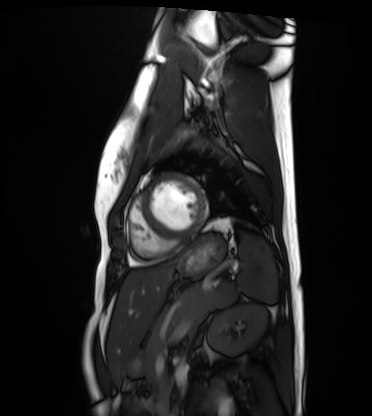
modality = cardiac MRI, subject group = healthy volunteer.